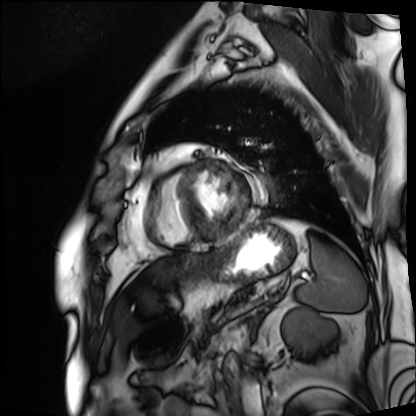
Summary:
Cardiac MRI. Subject group: patient.